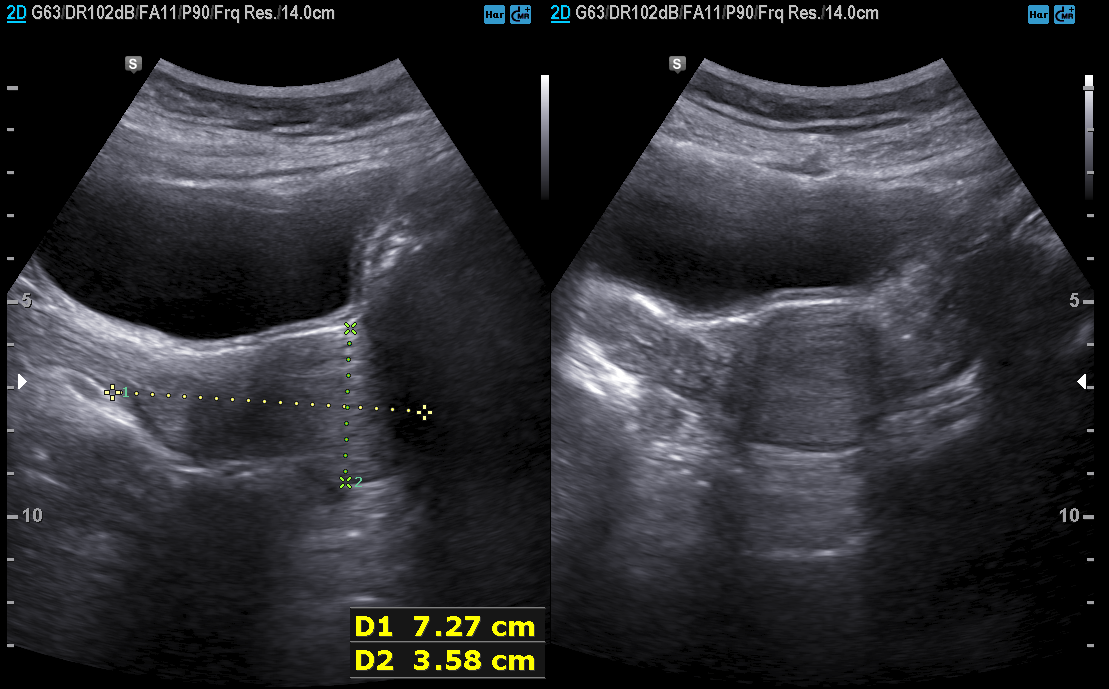
Genitourinary ultrasound.